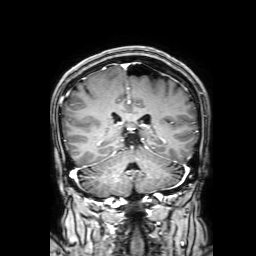
3 Tesla brain MRI. Series: 3D T1-weighted with SENSE. Study: ring-enhancing brain masses.